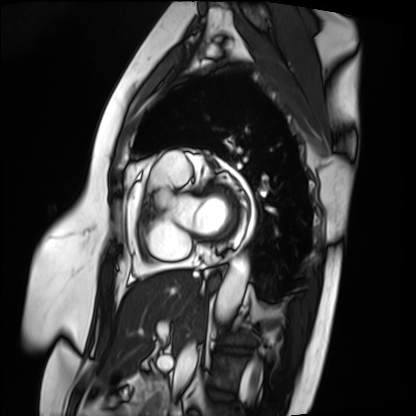
Q: What kind of scan is this?
A: Cardiac MRI.
Subject group: patient.